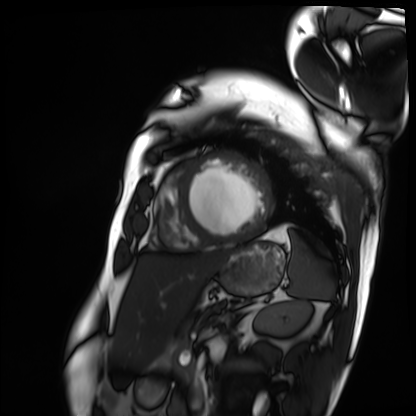
{"modality": "cardiac MRI", "cohort": "patient"}